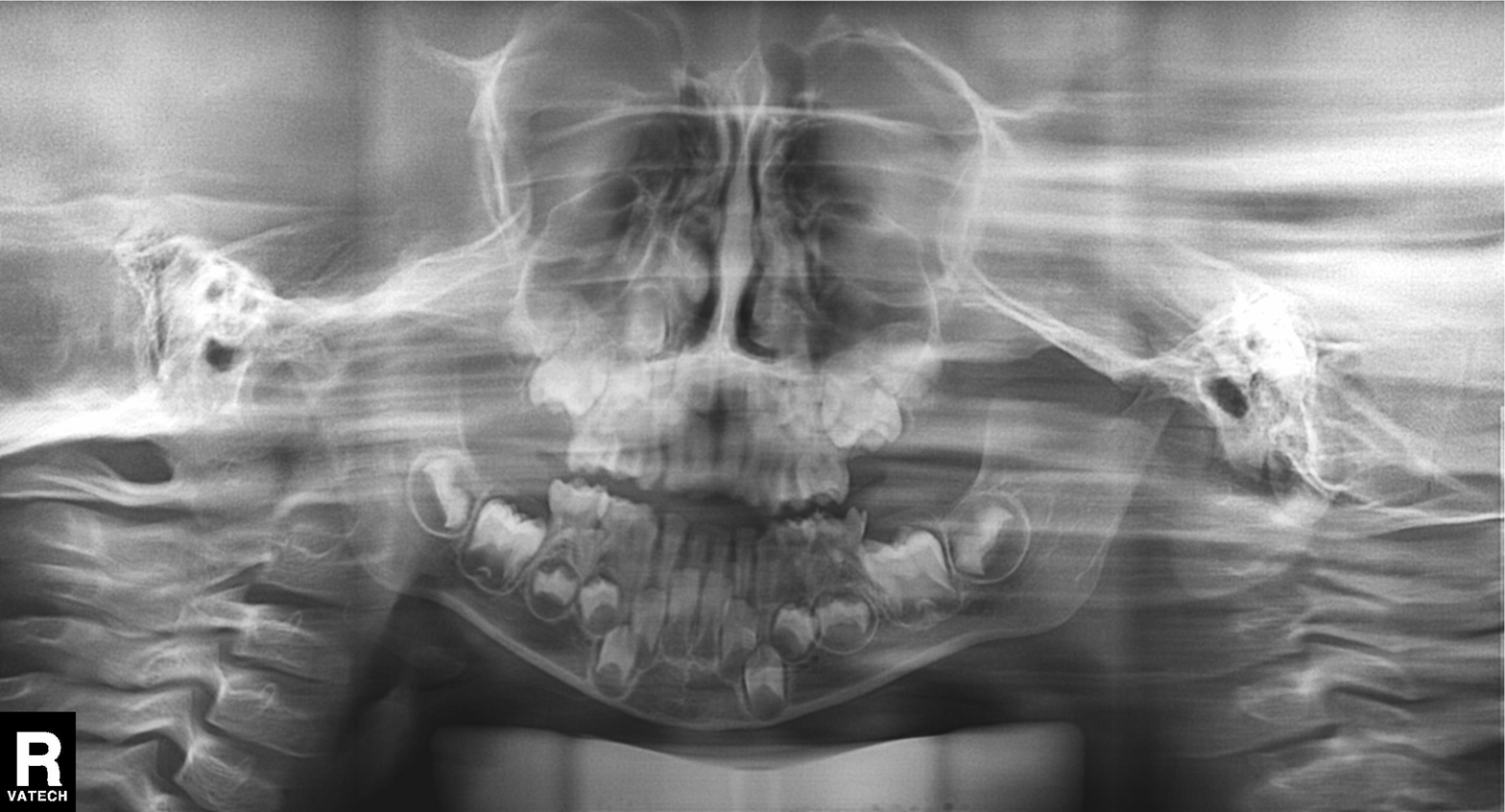
Summary: Panoramic dental radiograph (orthopantomogram).
Conclusion: Alveolar bone loss.